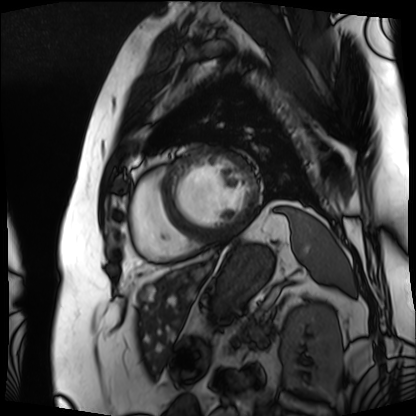
{"modality": "cardiac MRI", "cohort": "patient"}